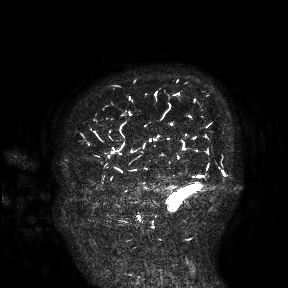
modality: 3 Tesla brain MRI | study: ring-enhancing brain masses.